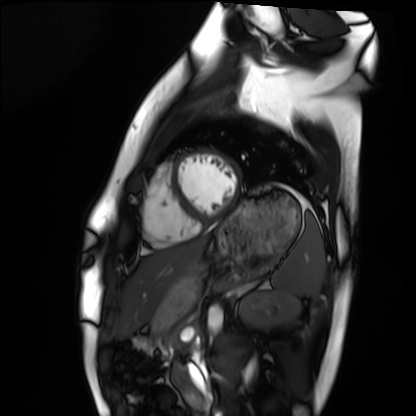
Cardiac MRI.
Subject group: healthy volunteer.